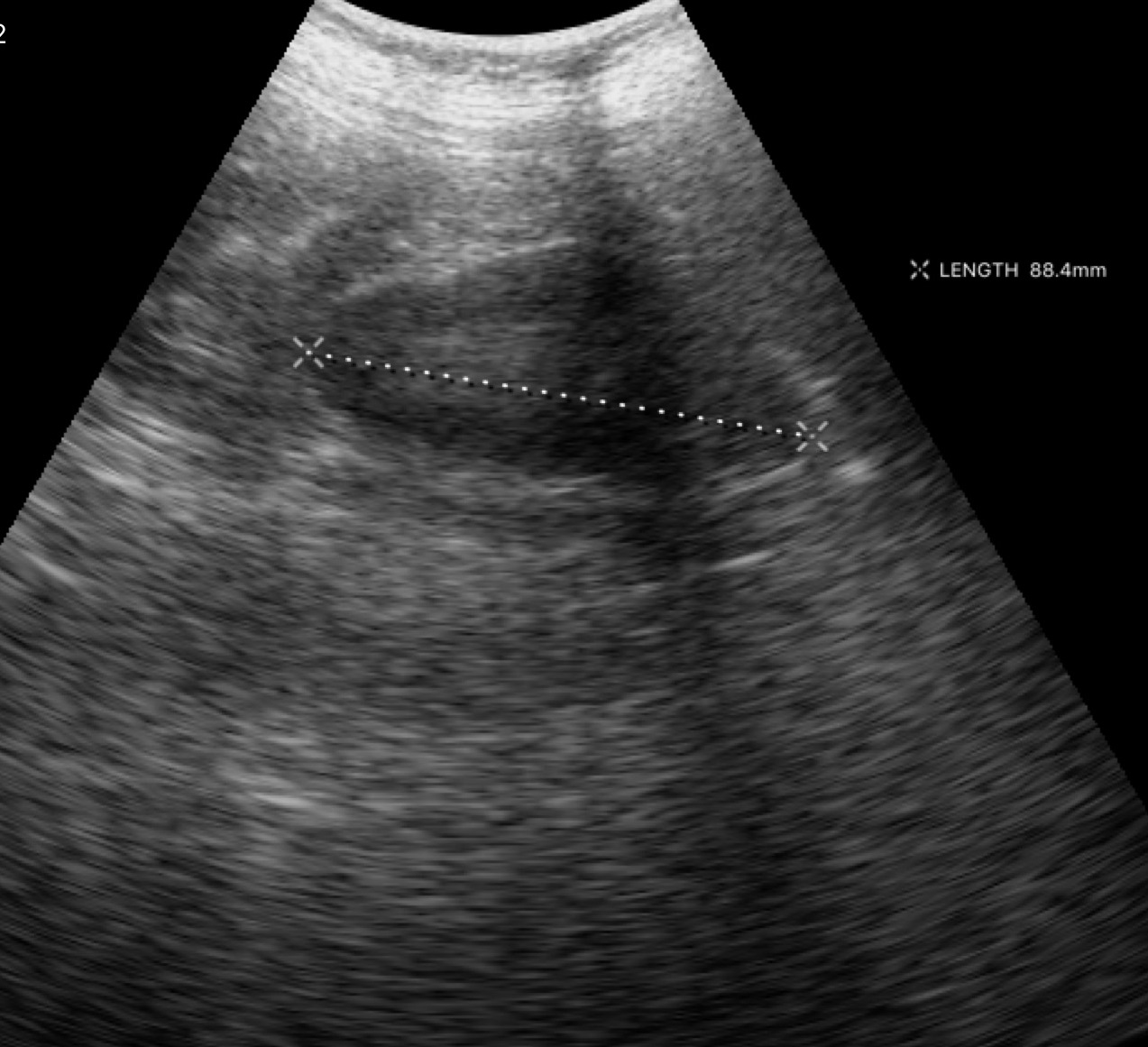
Clinical context:
Genitourinary ultrasound.